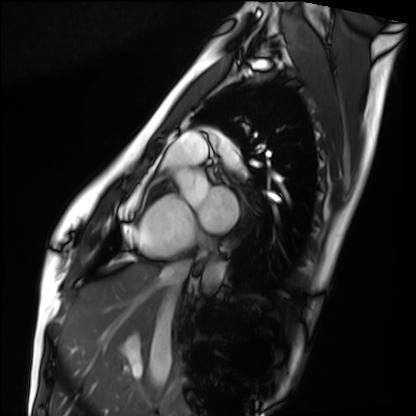
| field | value |
|---|---|
| modality | cardiac MRI |
| subject group | healthy volunteer |